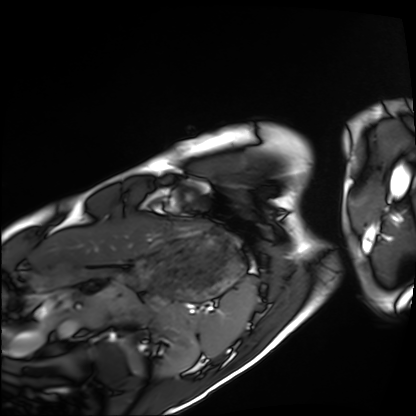
<study>
  <modality>cardiac MRI</modality>
  <cohort>healthy volunteer</cohort>
</study>